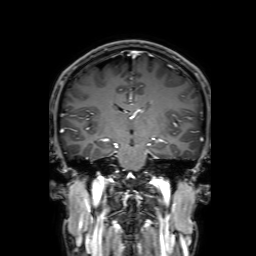
| field | value |
|---|---|
| modality | 3 Tesla brain MRI |
| series | 3D T1-weighted with SENSE |
| study | ring-enhancing brain masses |